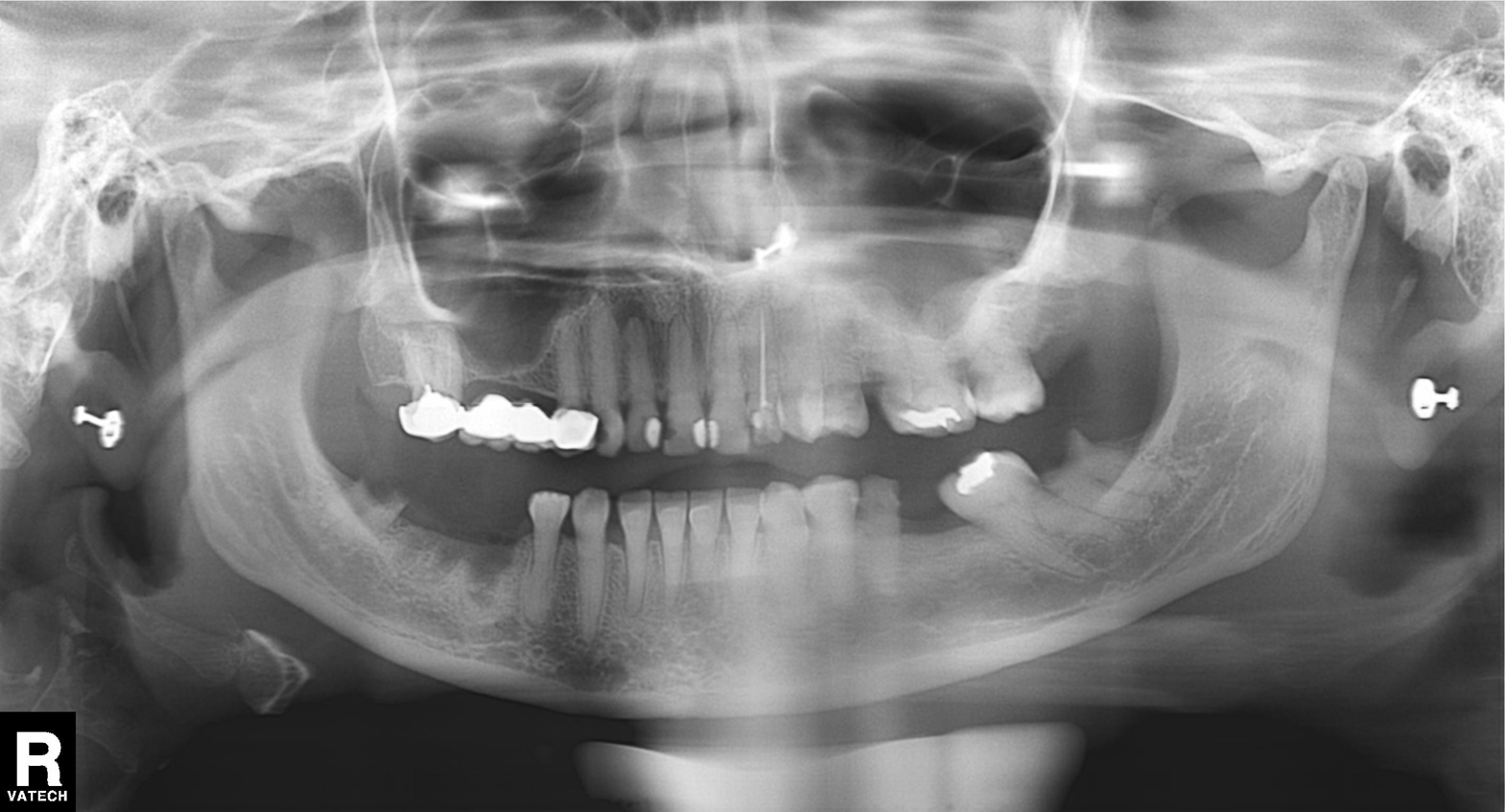
modality: panoramic dental radiograph (orthopantomogram)
finding: dental caries (cavities)